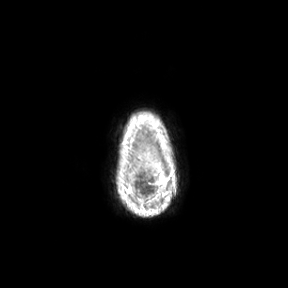
– modality: 3 Tesla brain MRI
– series: axial
– study: ring-enhancing brain masses